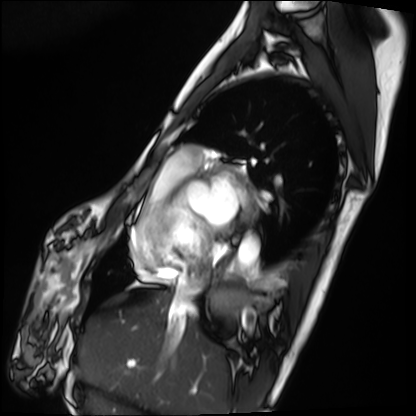
Case summary: Cardiac MRI. Subject group: patient.